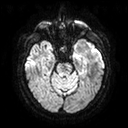
Summary: 3 Tesla brain MRI. Series: diffusion tensor imaging (medium iso). Study: ring-enhancing brain masses.